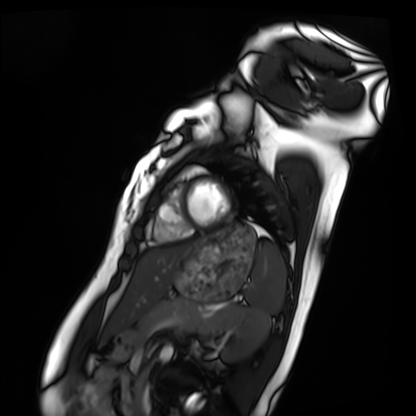
modality = cardiac MRI
subject group = healthy volunteer